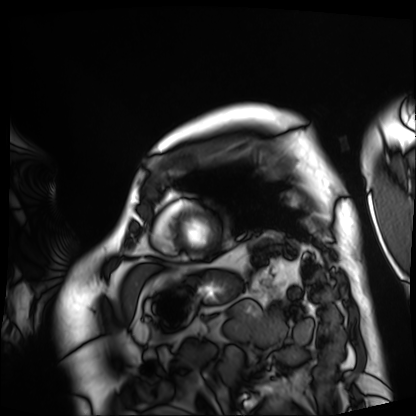
Summary: Cardiac MRI. Subject group: patient.